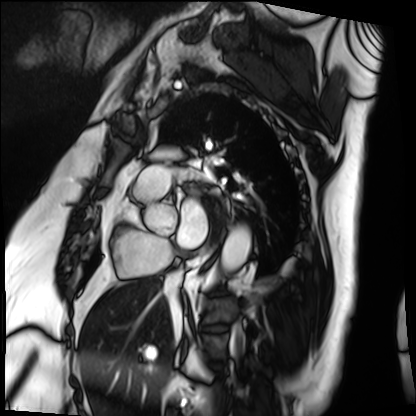
modality: cardiac MRI
cohort: patient